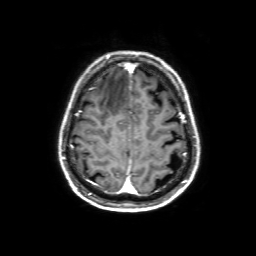
{
  "modality": {
    "type": "brain MRI",
    "field_strength": "3T"
  },
  "series": "3D T1-weighted with SENSE",
  "study_topic": "ring-enhancing brain masses"
}